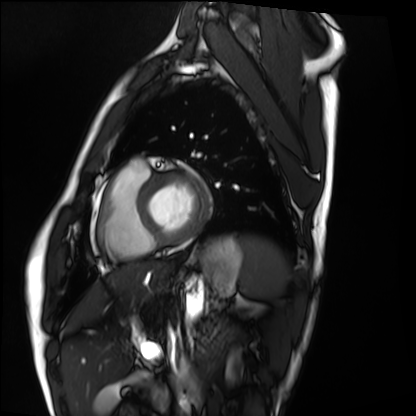
- modality — cardiac MRI
- subject group — healthy volunteer